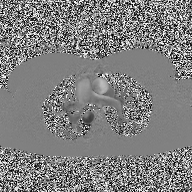
modality = 2D phase-contrast cine MRI of the ascending aorta.